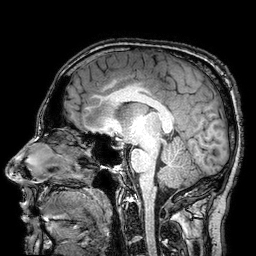
modality = 3 Tesla brain MRI; series = 3D T1-weighted turbo field echo with SENSE; study = ring-enhancing brain masses.